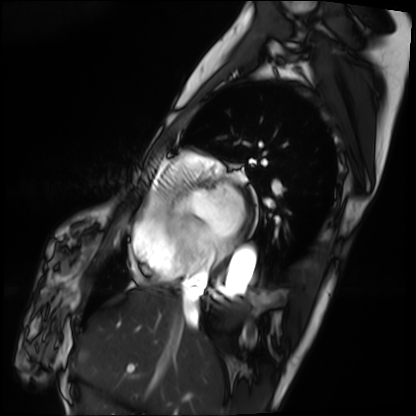
Q: What kind of scan is this?
A: Cardiac MRI.
Subject group: patient.